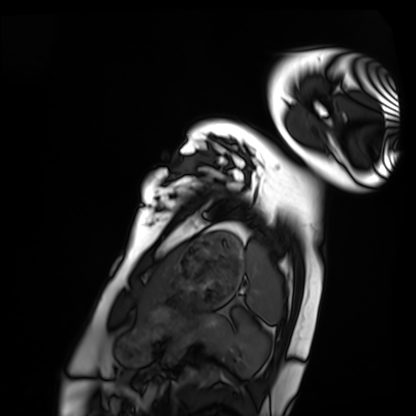
Q: What kind of scan is this?
A: Cardiac MRI.
Subject group: healthy volunteer.